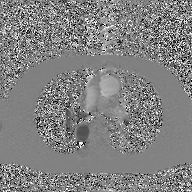
Q: What kind of scan is this?
A: 2D phase-contrast cine MRI of the ascending aorta, GAN super-resolution reconstruction.